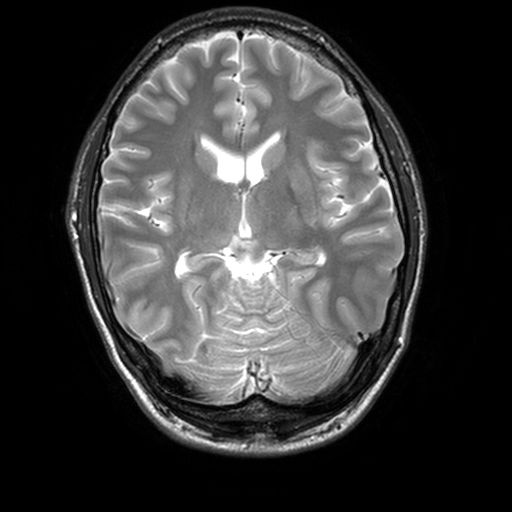
{
  "modality": {
    "type": "brain MRI",
    "field_strength": "3T"
  },
  "series": "T2-weighted turbo spin echo, 3 mm",
  "study_topic": "ring-enhancing brain masses"
}